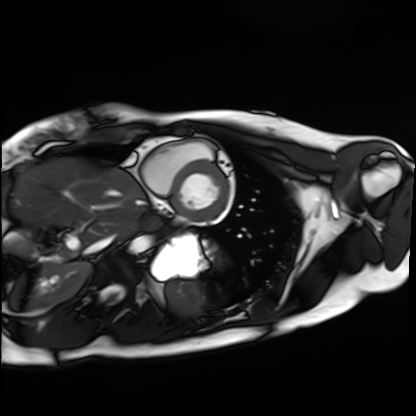
modality = cardiac MRI; subject group = healthy volunteer.